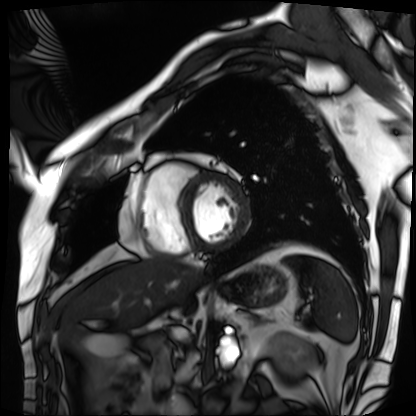
Cardiac MRI.
Subject group: patient.